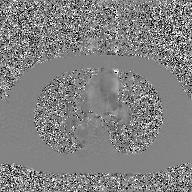
2D phase-contrast cine MRI of the ascending aorta, GAN super-resolution reconstruction.